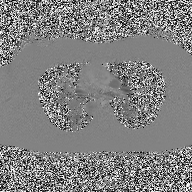
2D phase-contrast cine MRI of the ascending aorta, high-resolution GRAPPA acquisition.